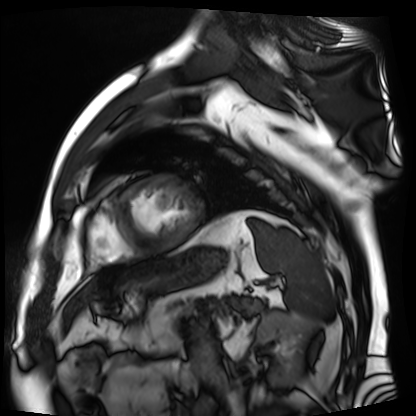
modality: cardiac MR image of the myocardium
subject cohort: cardiac patient